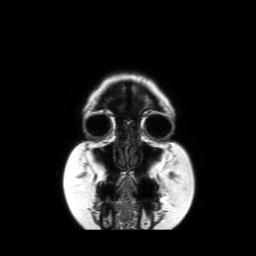
{"modality": {"type": "brain MRI", "field_strength": "3T"}, "series": "coronal without contrast", "study_topic": "ring-enhancing brain masses"}